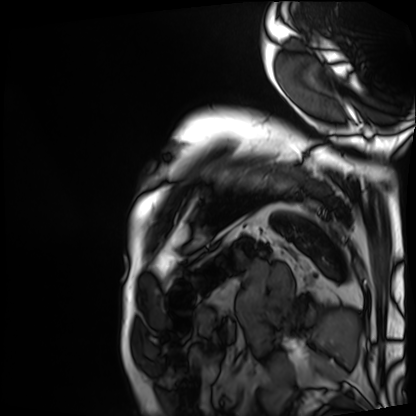
| field | value |
|---|---|
| modality | cardiac MRI |
| subject group | patient |